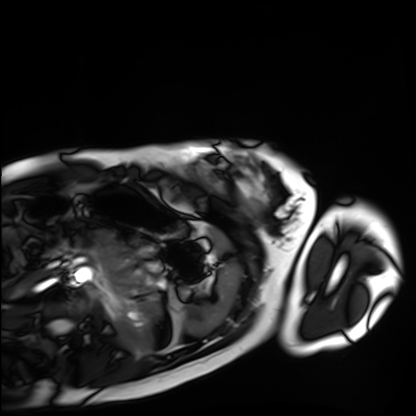
Cardiac MRI. Subject group: healthy volunteer.